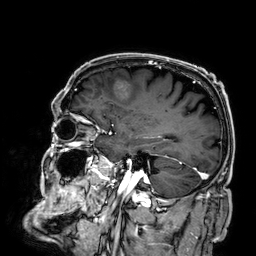
modality = 3 Tesla brain MRI
series = 3D T1-weighted
study = ring-enhancing brain masses